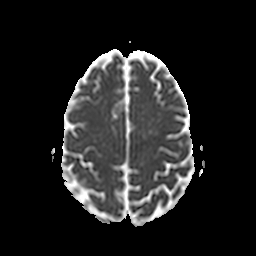
| field | value |
|---|---|
| modality | 3 Tesla brain MRI |
| series | apparent diffusion coefficient (ADC) map |
| study | ring-enhancing brain masses |